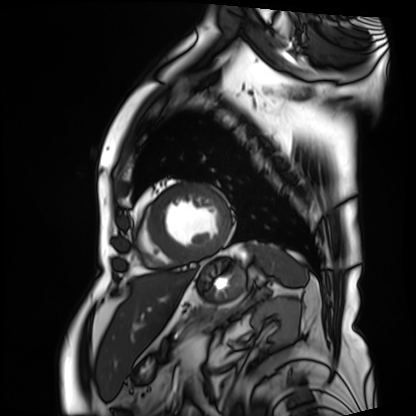
Cardiac MRI. Subject group: patient.